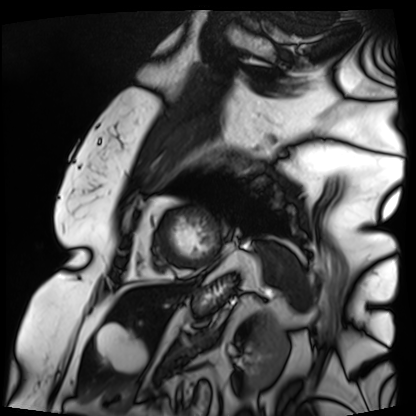
Cardiac MRI. Subject group: patient.